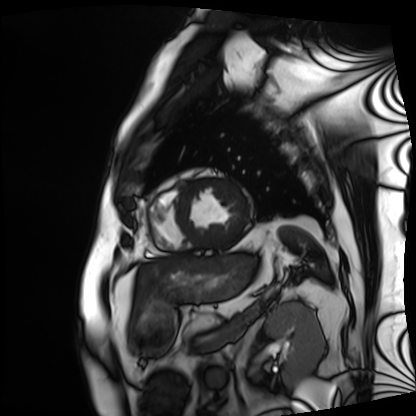
modality=cardiac MRI; subject group=patient.